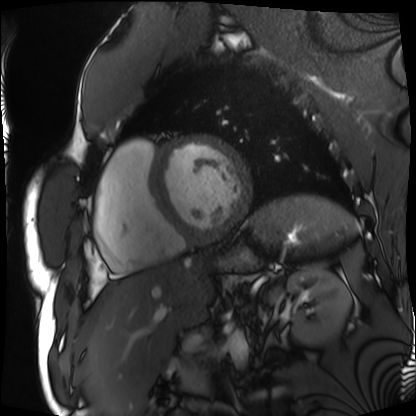
Case:
– modality — cardiac MRI
– subject group — patient